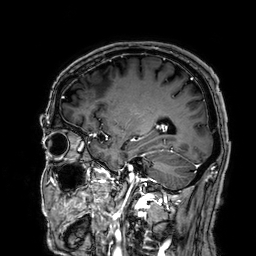
3 Tesla brain MRI.
Series: 3D T1-weighted.
Study: ring-enhancing brain masses.